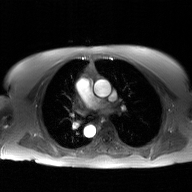
Case summary:
2D phase-contrast cine MRI of the ascending aorta, GAN super-resolution reconstruction.